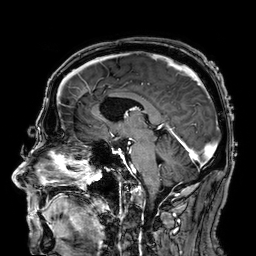
3 Tesla brain MRI.
Series: 3D T1-weighted.
Study: ring-enhancing brain masses.